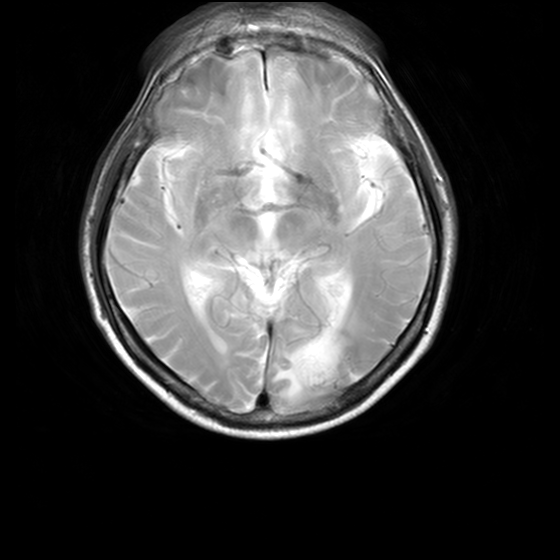
{
  "modality": {
    "type": "brain MRI",
    "field_strength": "3T"
  },
  "series": "MR spectroscopy",
  "study_topic": "ring-enhancing brain masses"
}